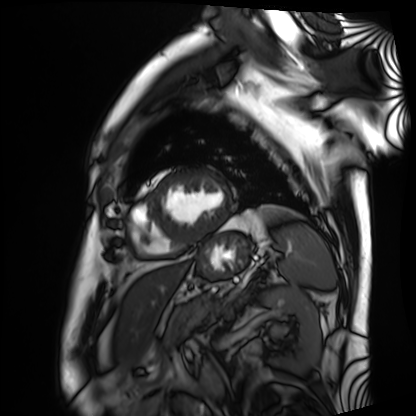
Cardiac MRI. Subject group: patient.